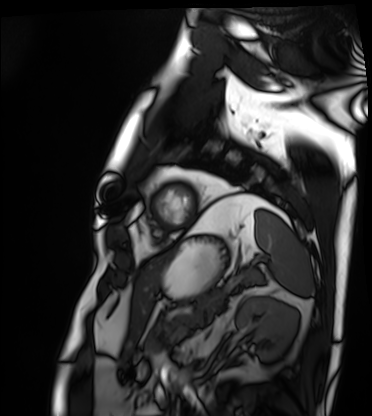
Cardiac MRI.
Subject group: patient.